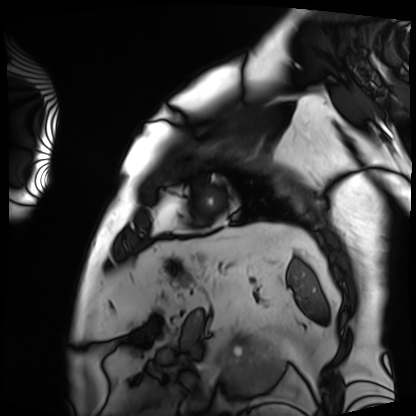
modality=cardiac MRI; subject group=patient.